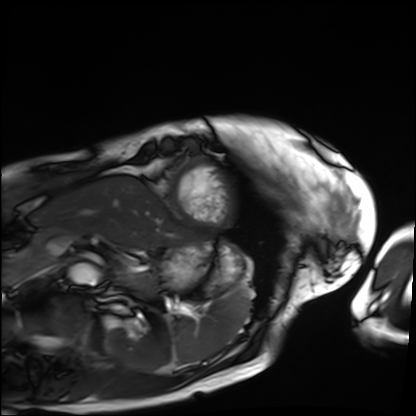
Cardiac MRI.
Subject group: patient.